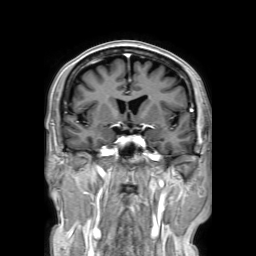
Summary:
3 Tesla brain MRI. Study: ring-enhancing brain masses.